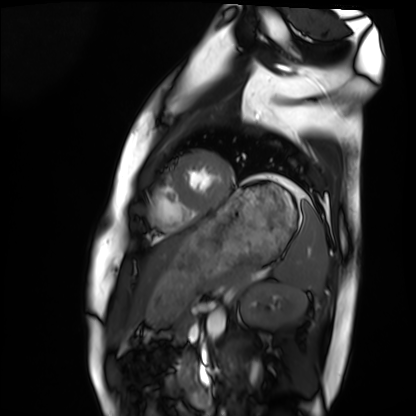
Clinical context:
Cardiac MRI. Subject group: healthy volunteer.